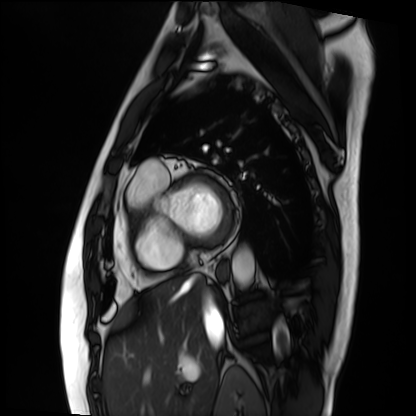
Case summary:
Cardiac MRI. Subject group: patient.